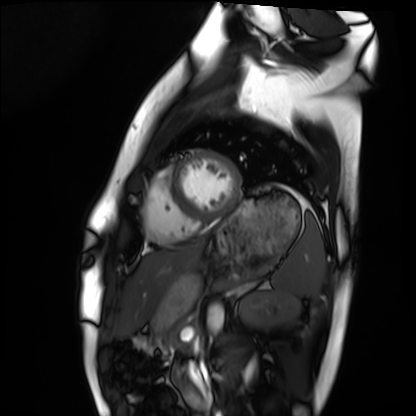
modality — cardiac MRI; subject group — healthy volunteer.